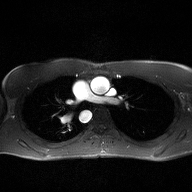
modality: 2D phase-contrast cine MRI of the ascending aorta.